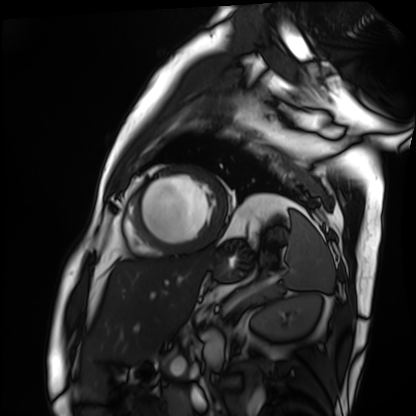
Clinical context: Cardiac MRI. Subject group: patient.